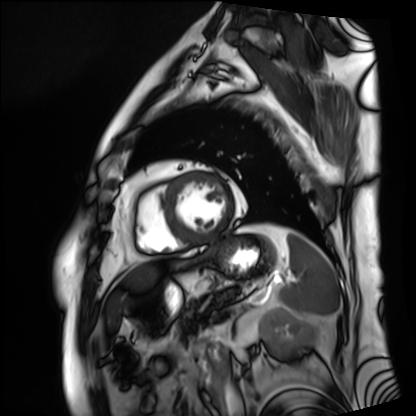
Q: What kind of scan is this?
A: Cardiac MRI.
Subject group: patient.